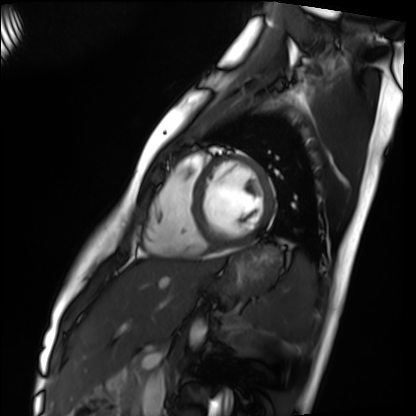
Cardiac MRI.
Subject group: healthy volunteer.